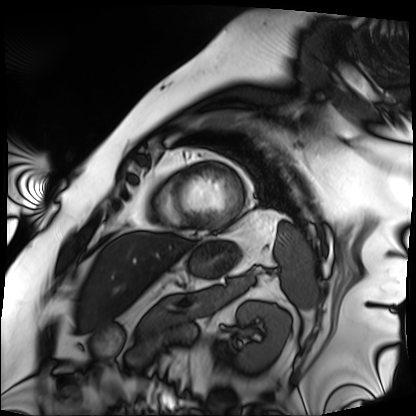
| field | value |
|---|---|
| modality | cardiac MRI |
| subject group | patient |